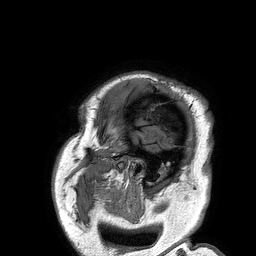
3 Tesla brain MRI.
Series: 3D T1-weighted turbo field echo.
Study: ring-enhancing brain masses.